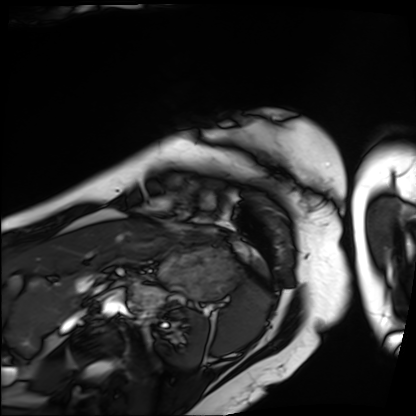
Summary: Cardiac MRI. Subject group: patient.